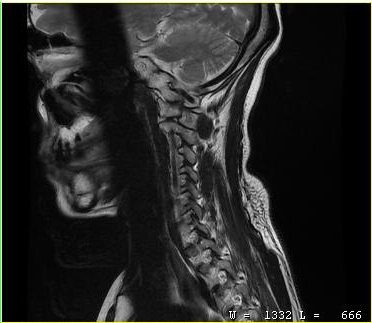
– modality — MRI of the cervical spine
– study — cervical spondylosis